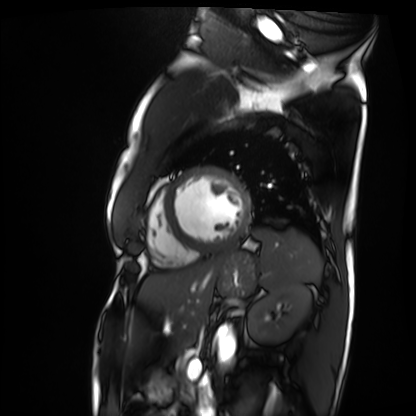
Q: What kind of scan is this?
A: Cardiac MRI.
Subject group: patient.